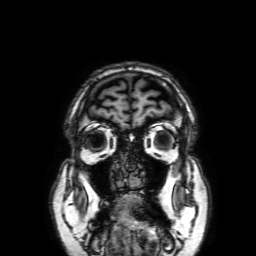
| field | value |
|---|---|
| modality | 3 Tesla brain MRI |
| series | 3D T1-weighted with SENSE |
| study | ring-enhancing brain masses |